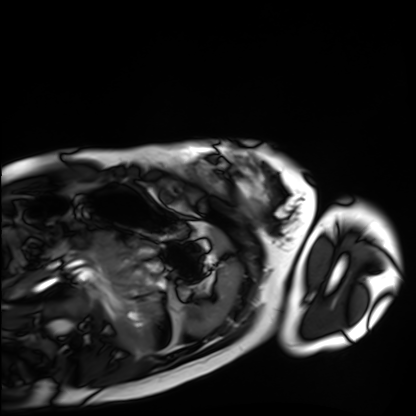
  modality: cardiac MRI
  cohort: healthy volunteer